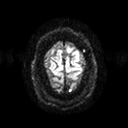
Clinical context: 3 Tesla brain MRI. Series: diffusion tensor imaging (medium iso). Study: ring-enhancing brain masses.